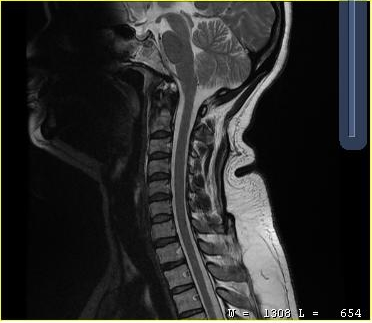
MRI of the cervical spine.
Study: cervical spondylosis.